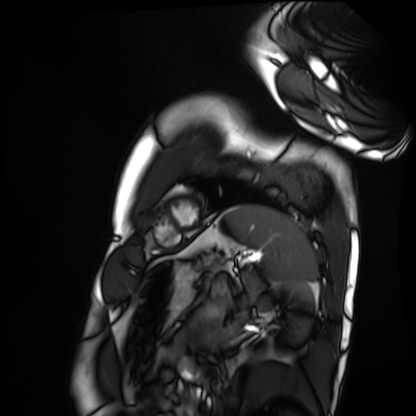
Clinical context:
Cardiac MRI. Subject group: healthy volunteer.